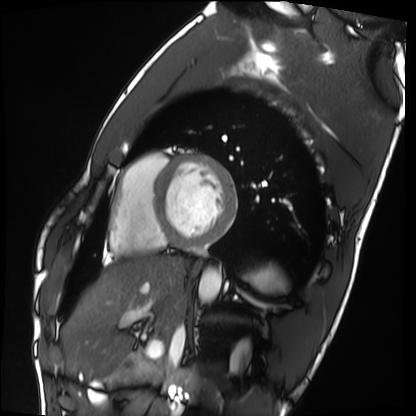
- modality — cardiac MRI
- subject group — healthy volunteer